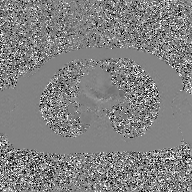
2D phase-contrast cine MRI of the ascending aorta, GAN super-resolution reconstruction.